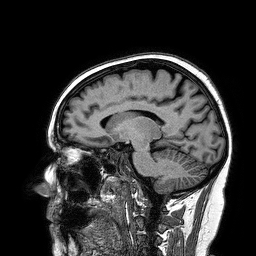
modality = 3 Tesla brain MRI; series = 3D T1-weighted turbo field echo; study = ring-enhancing brain masses.